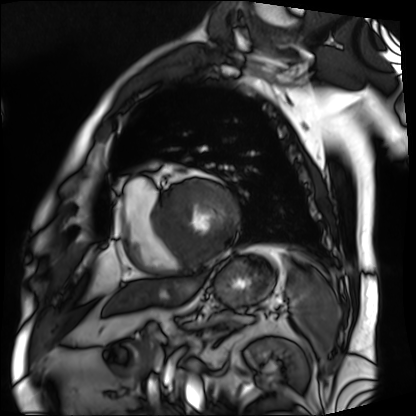
Cardiac MRI. Subject group: patient.